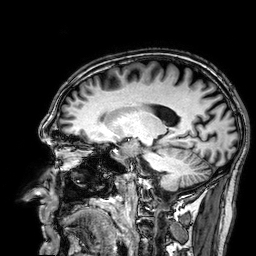
modality: 3 Tesla brain MRI | series: 3D T1-weighted | study: ring-enhancing brain masses.